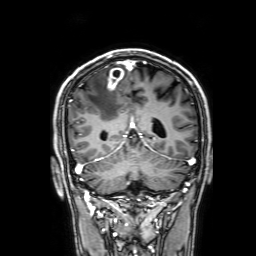
modality: 3 Tesla brain MRI
series: 3D T1-weighted with SENSE
study: ring-enhancing brain masses